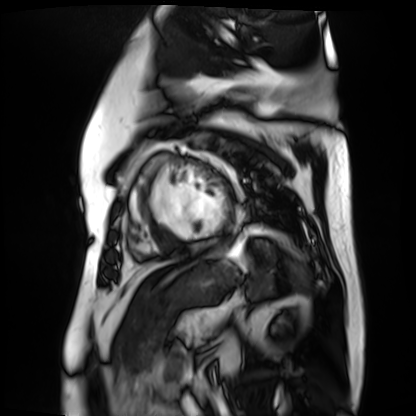
Case summary:
Cardiac MR image of the myocardium. Subject cohort: cardiac patient.